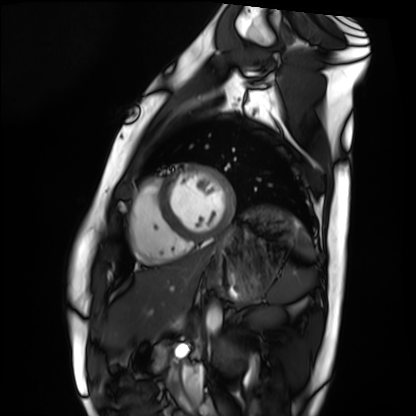
Cardiac MRI.
Subject group: healthy volunteer.